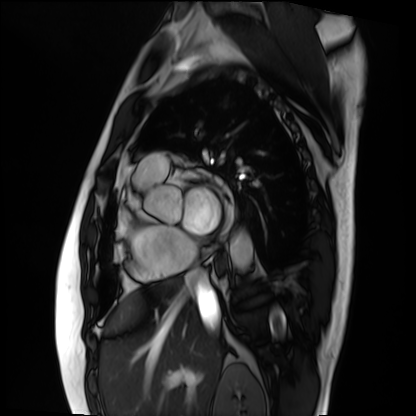
Case:
* modality — cardiac MRI
* subject group — patient